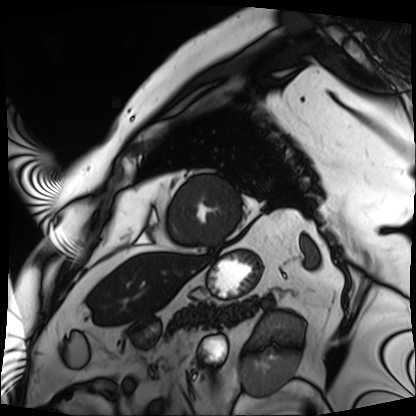
Cardiac MRI. Subject group: patient.